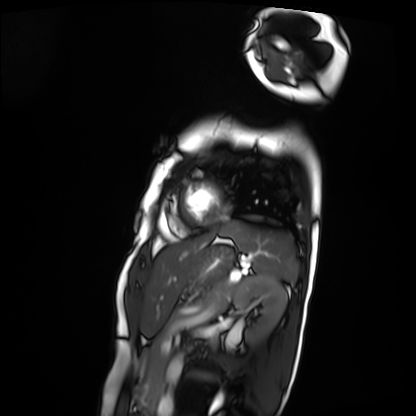
modality = cardiac MRI | subject group = patient.